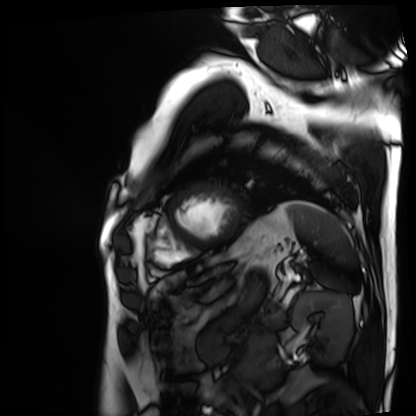
Q: What kind of scan is this?
A: Cardiac MRI.
Subject group: patient.